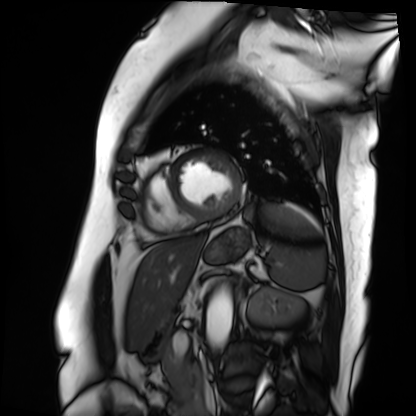
| field | value |
|---|---|
| modality | cardiac MRI |
| subject group | patient |